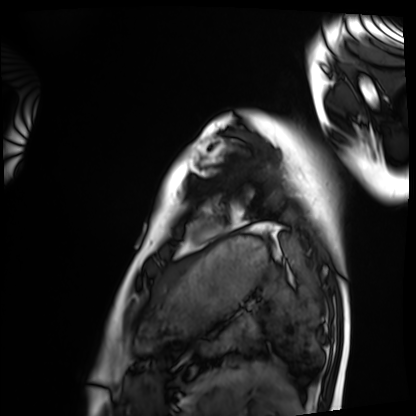
Case:
– modality: cardiac MRI
– subject group: healthy volunteer